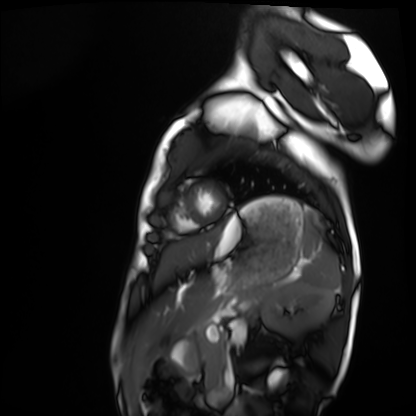
Case summary: Cardiac MRI. Subject group: healthy volunteer.